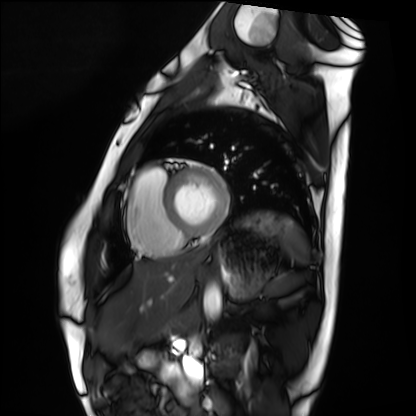
• modality — cardiac MRI
• subject group — healthy volunteer